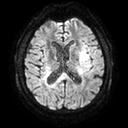
{"modality": {"type": "brain MRI", "field_strength": "3T"}, "series": "diffusion tensor imaging (medium iso)", "study_topic": "ring-enhancing brain masses"}